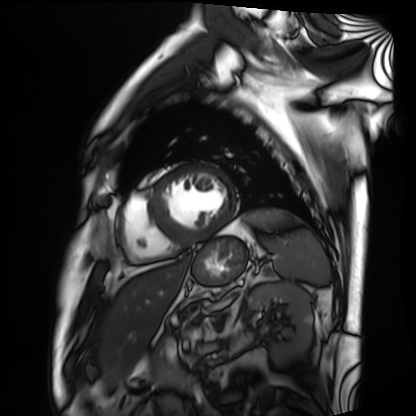
modality = cardiac MRI
subject group = patient